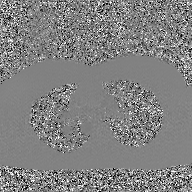
Clinical context:
2D phase-contrast cine MRI of the ascending aorta, GAN super-resolution reconstruction.